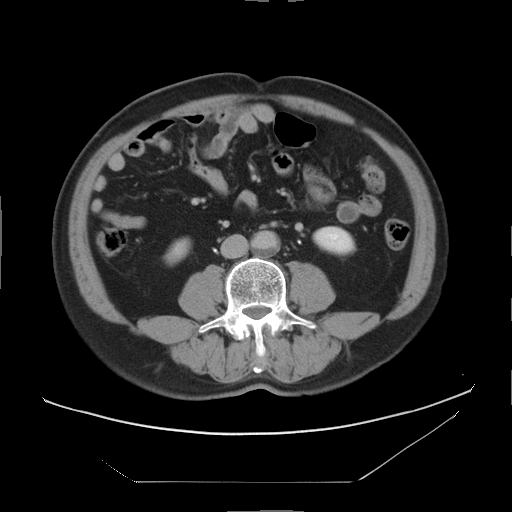
modality=multiphase abdominal CT, liver, delayed phase | patient=male, age 60.